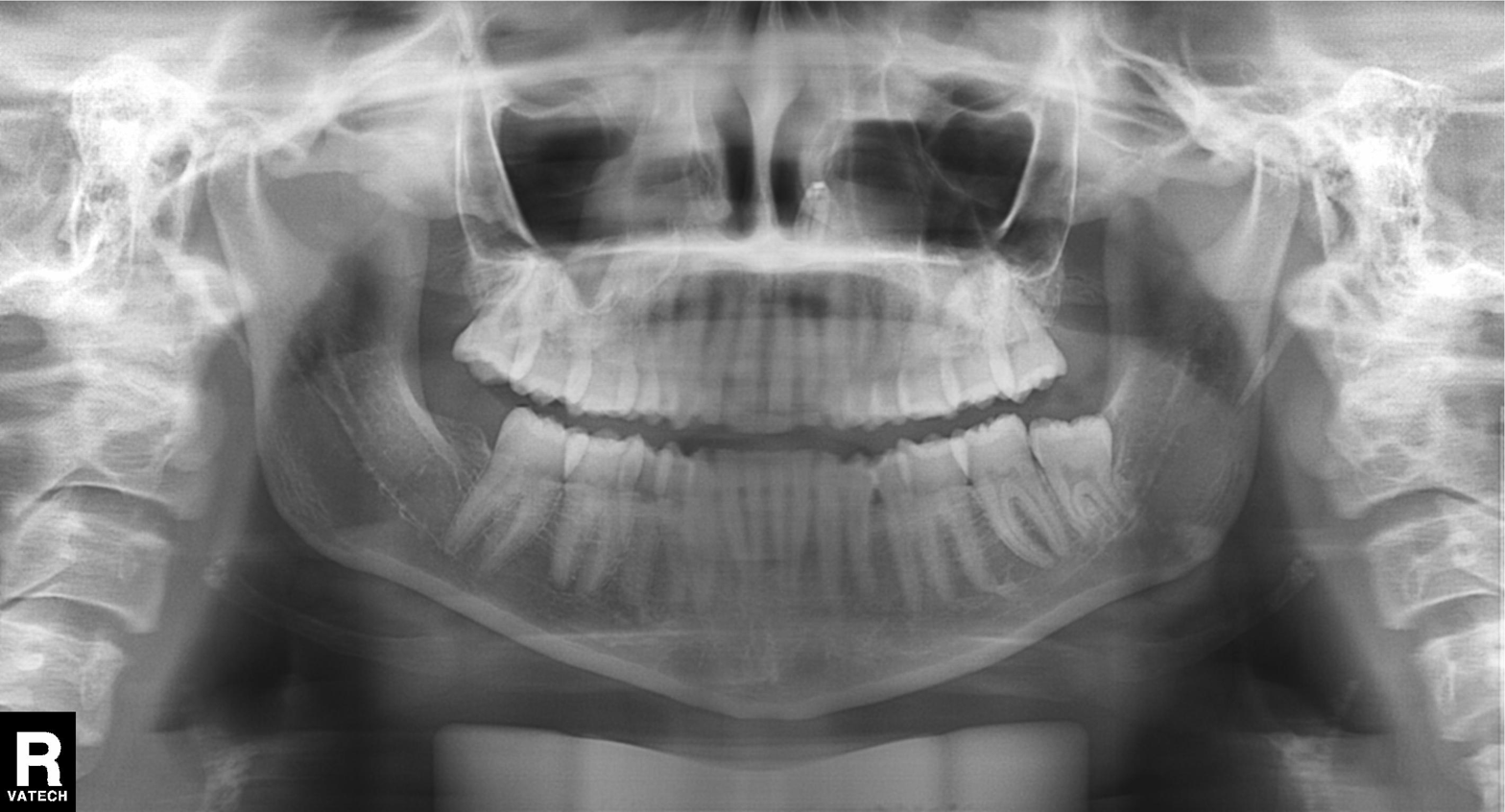
Panoramic dental radiograph (orthopantomogram).
Finding: alveolar bone loss.